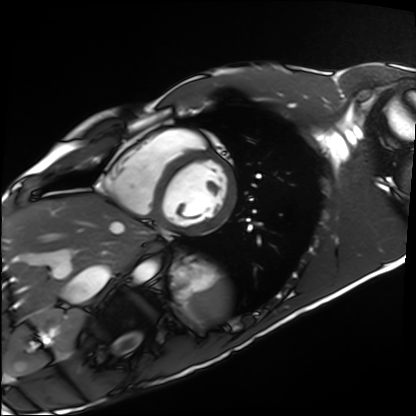
Clinical context: Cardiac MRI. Subject group: healthy volunteer.